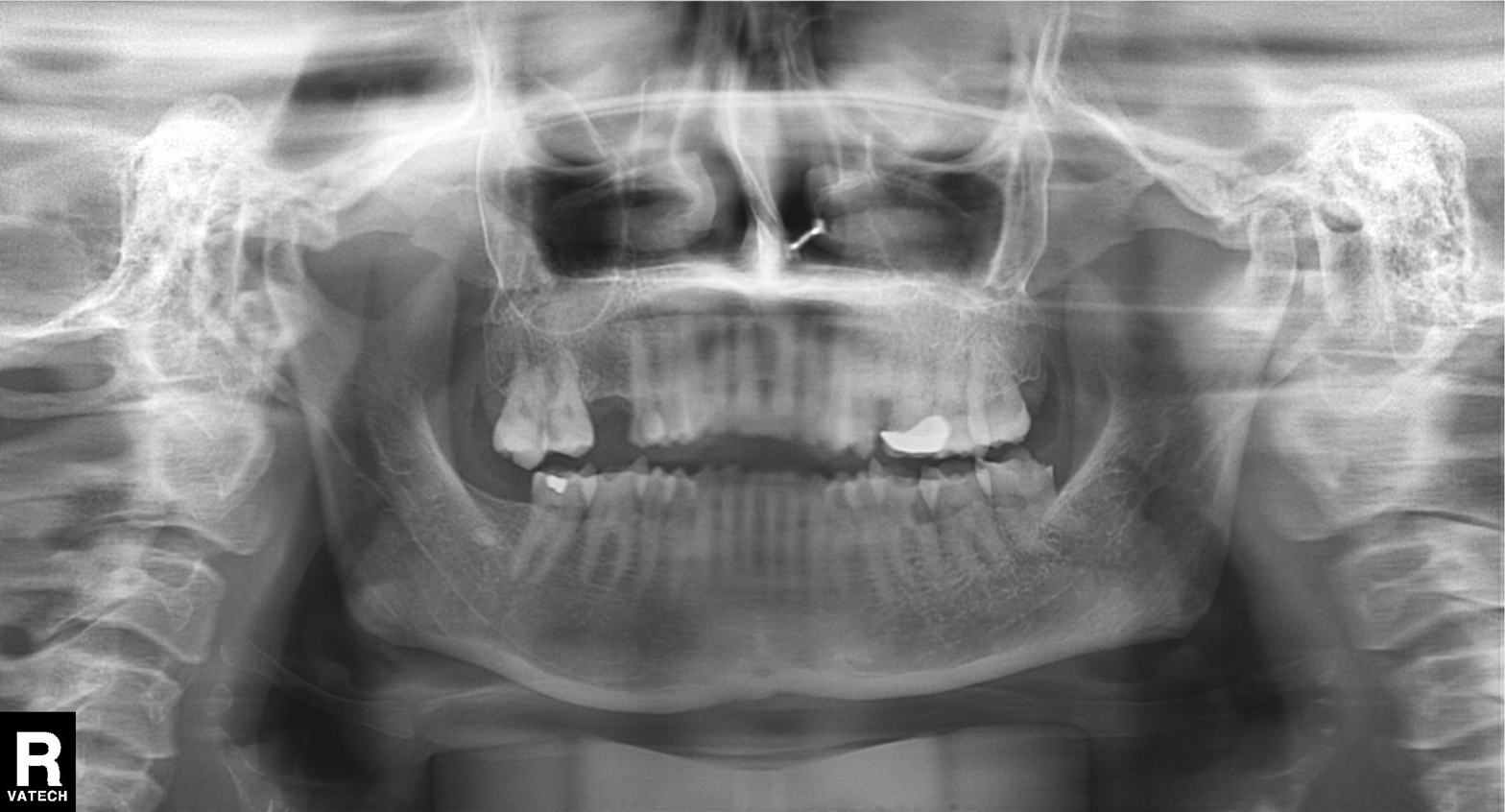
Panoramic dental radiograph (orthopantomogram).
Finding: dental caries (cavities).